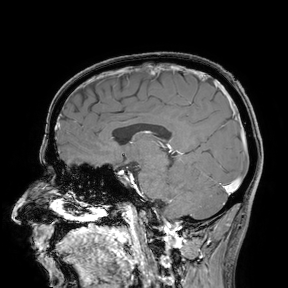
Summary:
3 Tesla brain MRI. Study: ring-enhancing brain masses.